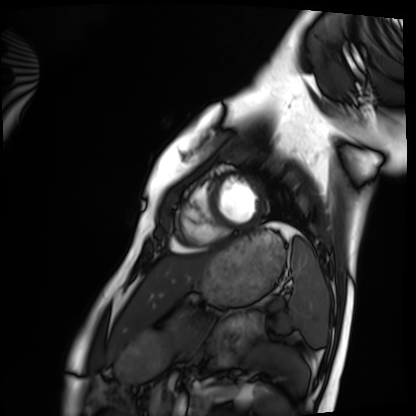
modality: cardiac MRI
cohort: healthy volunteer